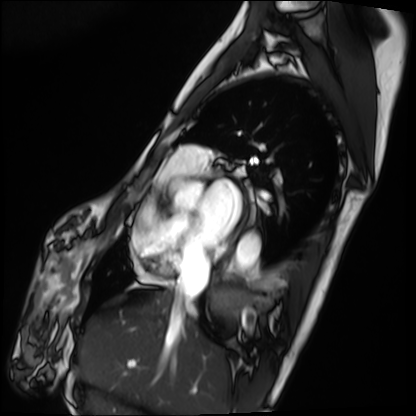
Cardiac MRI. Subject group: patient.